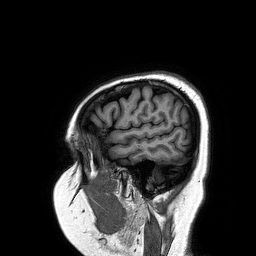
Case summary: 3 Tesla brain MRI. Series: 3D T1-weighted turbo field echo. Study: ring-enhancing brain masses.